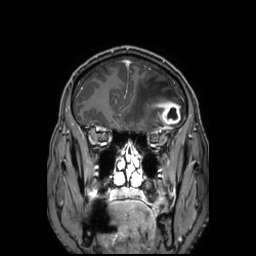
– modality · 3 Tesla brain MRI
– study · ring-enhancing brain masses